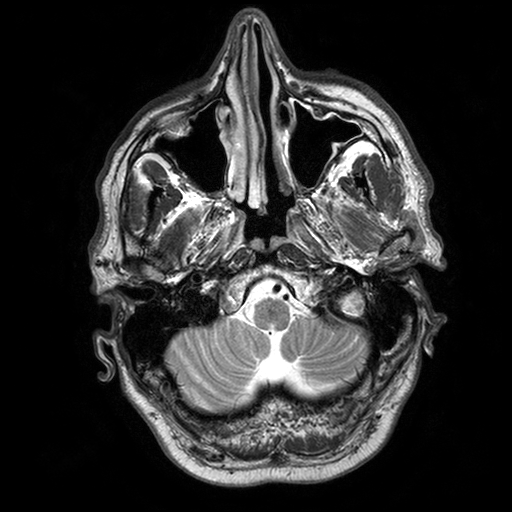
<study>
  <modality>
    <type>brain MRI</type>
    <field_strength>3T</field_strength>
  </modality>
  <series>T2-weighted turbo spin echo with SENSE</series>
  <study_topic>ring-enhancing brain masses</study_topic>
</study>